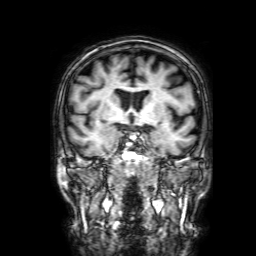
{"modality": {"type": "brain MRI", "field_strength": "3T"}, "series": "3D T1-weighted with SENSE", "study_topic": "ring-enhancing brain masses"}